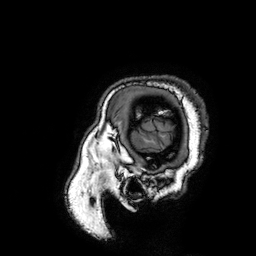
  modality:
    type: brain MRI
    field_strength: 3T
  series: 3D T1-weighted turbo field echo with SENSE
  study_topic: ring-enhancing brain masses